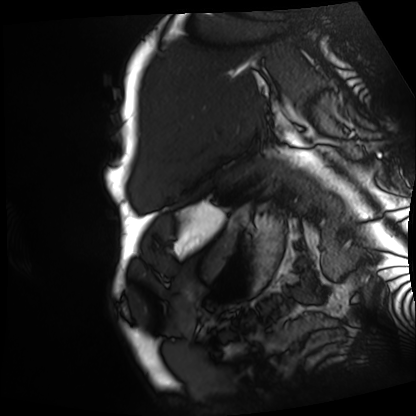
Cardiac MRI. Subject group: patient.